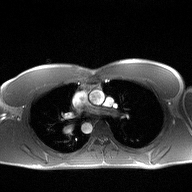
{
  "modality": {
    "type": "2D phase-contrast cine MRI",
    "region": "ascending aorta",
    "reconstruction": "high-resolution GRAPPA acquisition"
  }
}